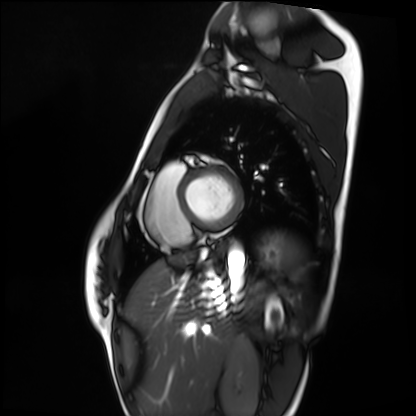
Cardiac MRI. Subject group: healthy volunteer.